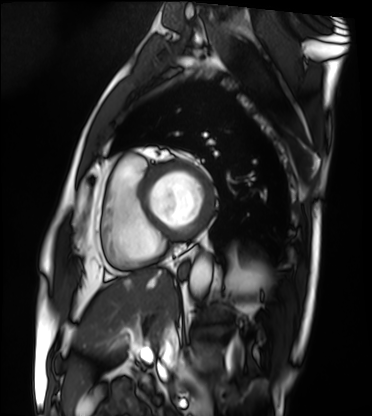
Case:
• modality — cardiac MRI
• subject group — patient